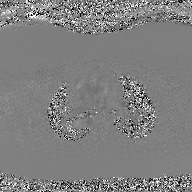
2D phase-contrast cine MRI of the ascending aorta, GAN super-resolution reconstruction.